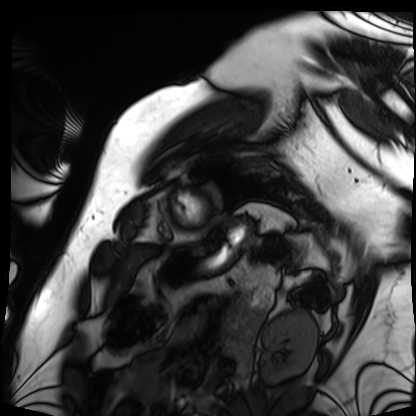
- modality · cardiac MRI
- subject group · patient